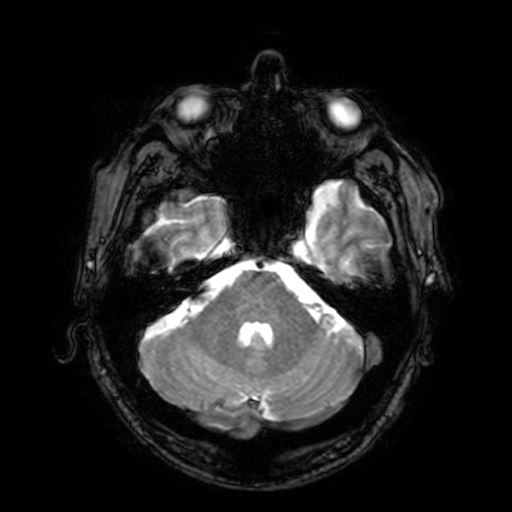
modality — 3 Tesla brain MRI | series — T2-weighted fast field echo with SENSE | study — ring-enhancing brain masses.